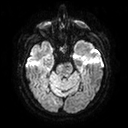
3 Tesla brain MRI.
Series: diffusion tensor imaging (medium iso).
Study: ring-enhancing brain masses.